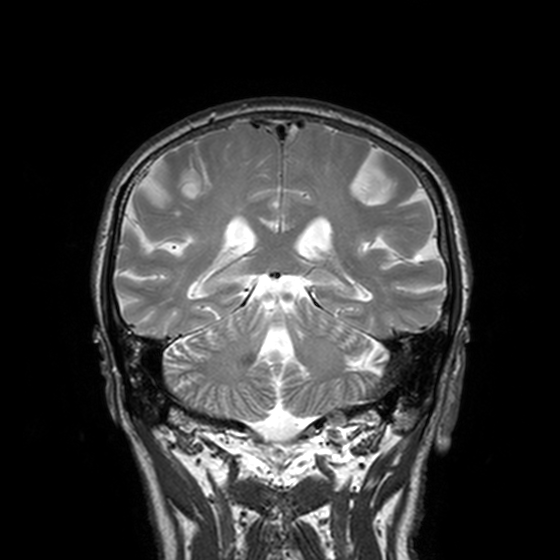
3 Tesla brain MRI.
Series: T2-weighted turbo spin echo, 3 mm.
Study: ring-enhancing brain masses.